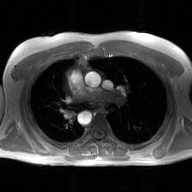
Case summary:
2D phase-contrast cine MRI of the ascending aorta, GAN super-resolution reconstruction.